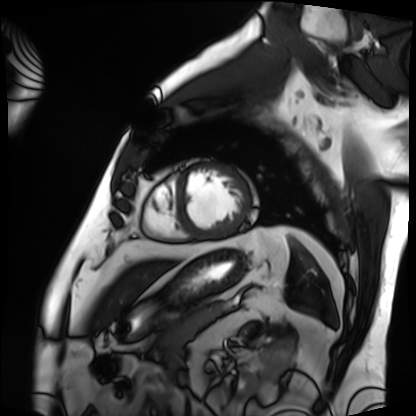
Summary:
Cardiac MRI. Subject group: patient.